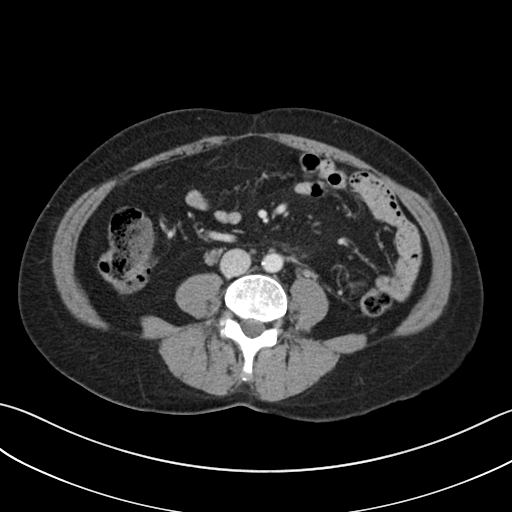
Multiphase abdominal CT, liver, portal venous phase. Patient: female, age 49.